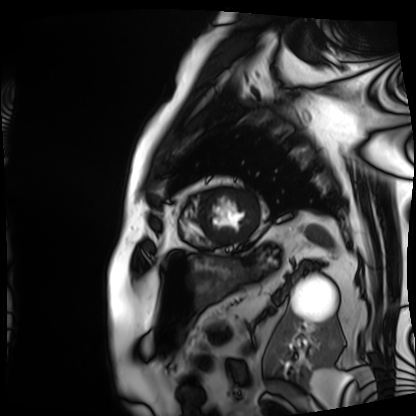
{"modality": "cardiac MRI", "cohort": "patient"}